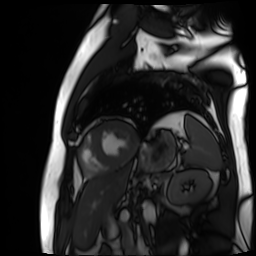
Cardiac MR image of the myocardium.
Subject cohort: cardiac patient.